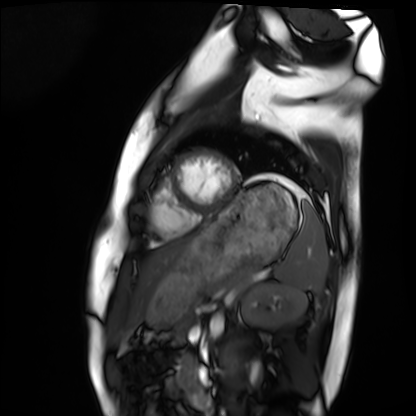
* modality: cardiac MRI
* subject group: healthy volunteer